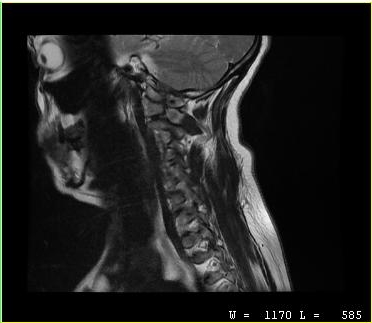
Case summary:
MRI of the cervical spine. Study: cervical spondylosis.